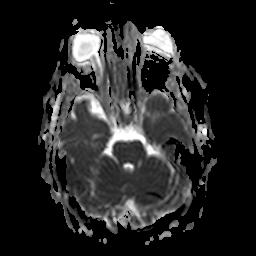
{
  "modality": {
    "type": "brain MRI",
    "field_strength": "3T"
  },
  "series": "apparent diffusion coefficient (ADC) map",
  "study_topic": "ring-enhancing brain masses"
}